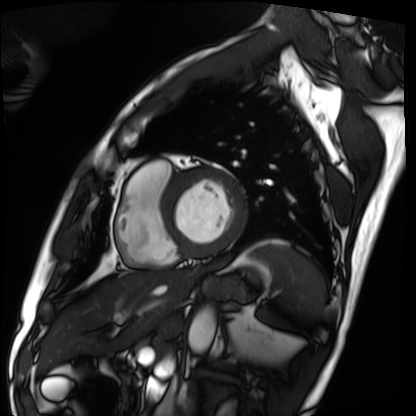
Case summary: Cardiac MRI. Subject group: patient.